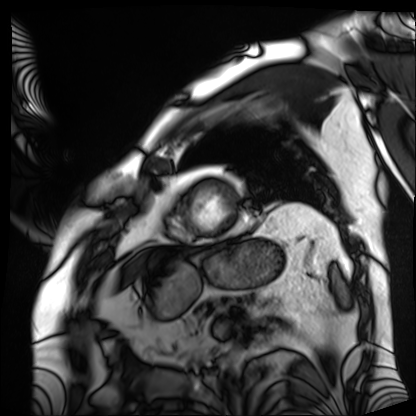
Cardiac MRI. Subject group: patient.